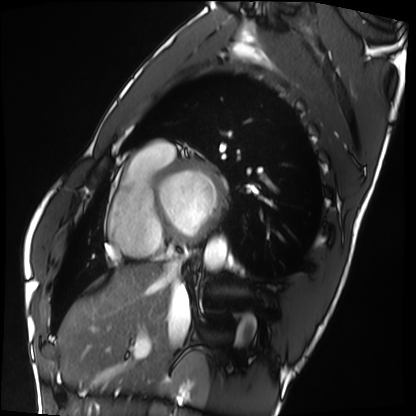
<study>
<modality>cardiac MRI</modality>
<cohort>healthy volunteer</cohort>
</study>